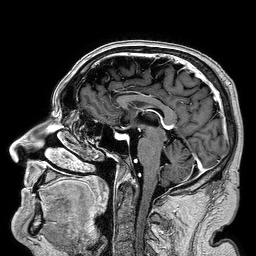
- modality — 3 Tesla brain MRI
- series — 3D T1-weighted turbo field echo
- study — ring-enhancing brain masses